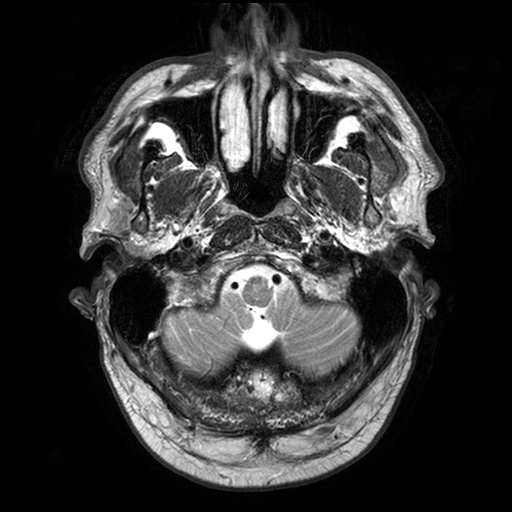
3 Tesla brain MRI. Series: T2-weighted turbo spin echo with SENSE. Study: ring-enhancing brain masses.